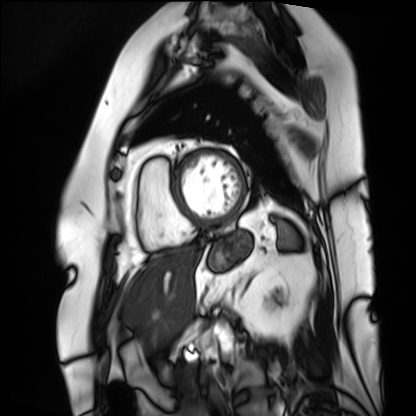
modality — cardiac MRI; subject group — patient.